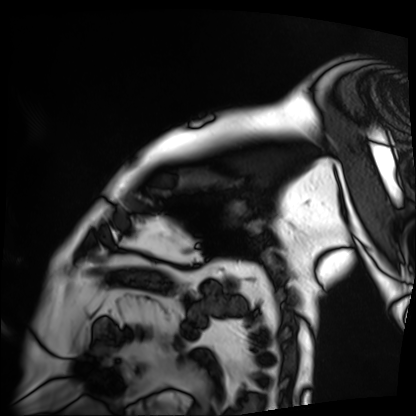
* modality: cardiac MRI
* subject group: patient